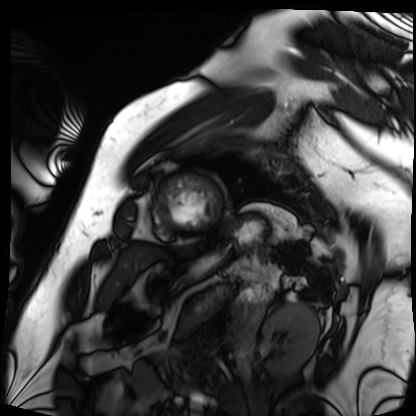
Clinical context:
Cardiac MRI. Subject group: patient.